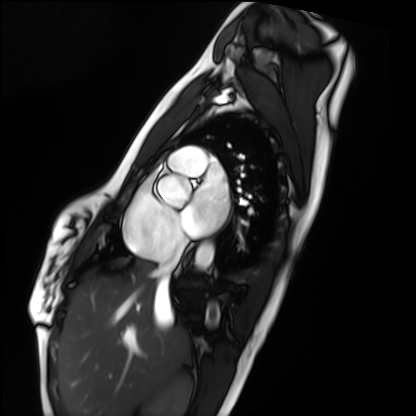
modality: cardiac MRI; subject group: healthy volunteer.